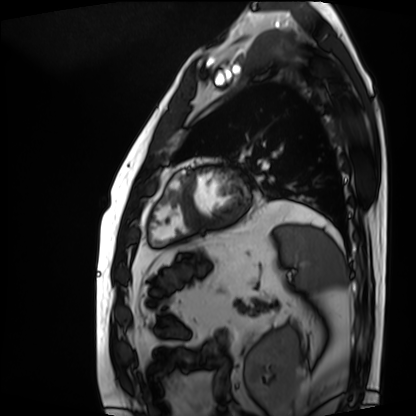
Summary: Cardiac MRI. Subject group: patient.